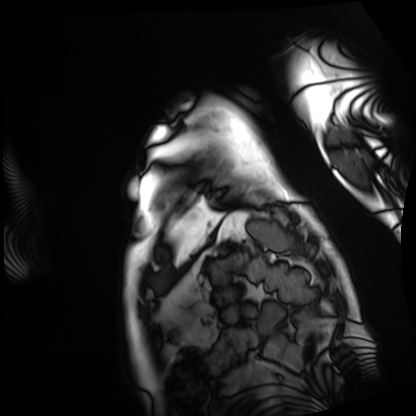
Cardiac MRI. Subject group: patient.